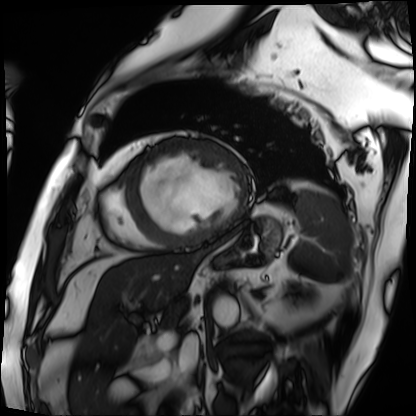
Q: What kind of scan is this?
A: Cardiac MRI.
Subject group: patient.